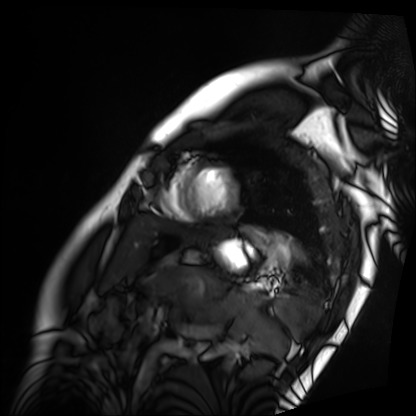
{"modality": "cardiac MRI", "cohort": "patient"}